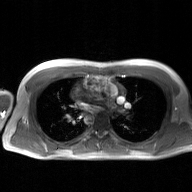
2D phase-contrast cine MRI of the ascending aorta, GAN super-resolution reconstruction.